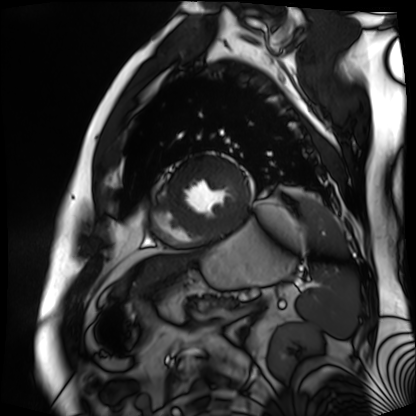
modality: cardiac MR image of the myocardium; subject cohort: cardiac patient.